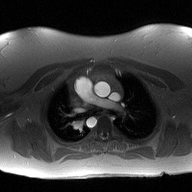
Summary:
2D phase-contrast cine MRI of the ascending aorta, high-resolution GRAPPA acquisition.